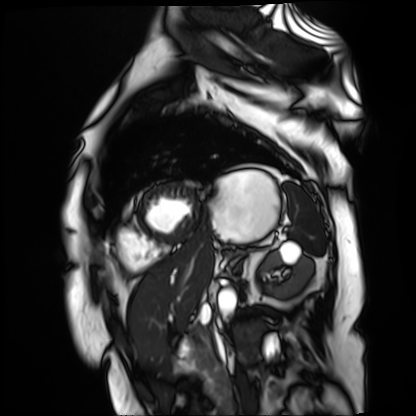
modality — cardiac MR image of the myocardium | subject cohort — cardiac patient.